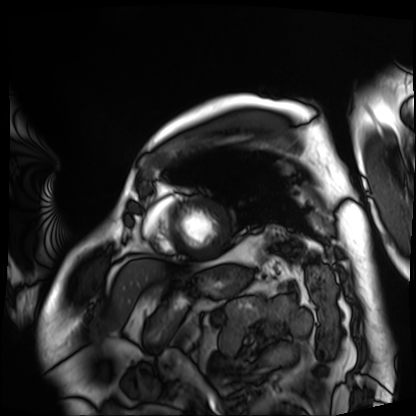
Q: What kind of scan is this?
A: Cardiac MRI.
Subject group: patient.